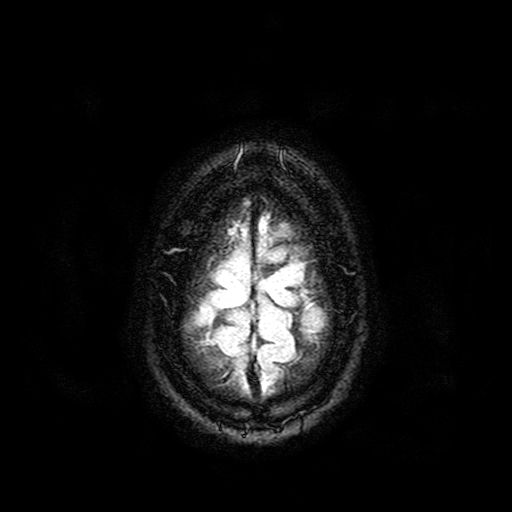
modality=3 Tesla brain MRI | series=FLAIR with SPAIR | study=ring-enhancing brain masses.